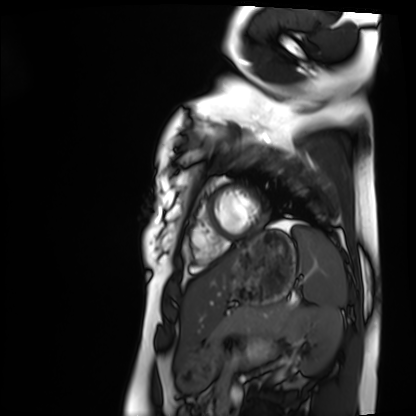
Summary: Cardiac MRI. Subject group: healthy volunteer.